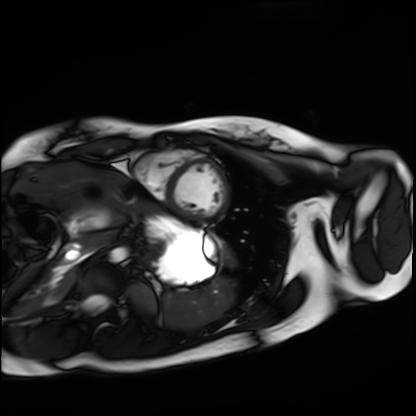
modality: cardiac MRI | subject group: healthy volunteer.